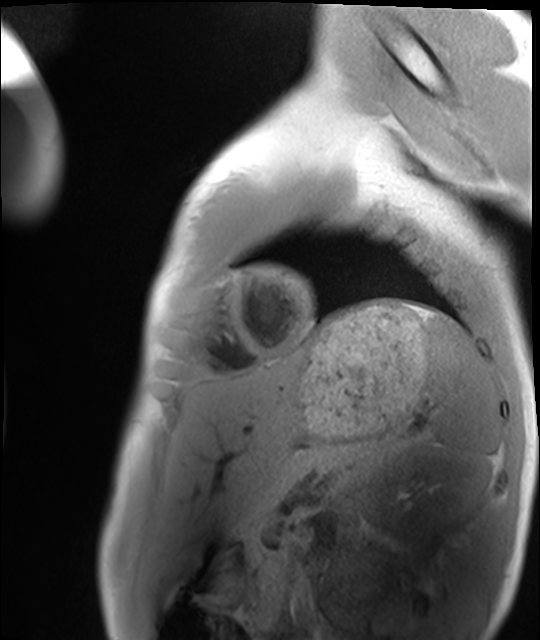
Cardiac MRI.
Subject group: healthy volunteer.